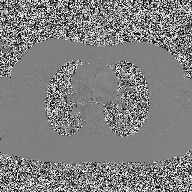
2D phase-contrast cine MRI of the ascending aorta, high-resolution GRAPPA acquisition.